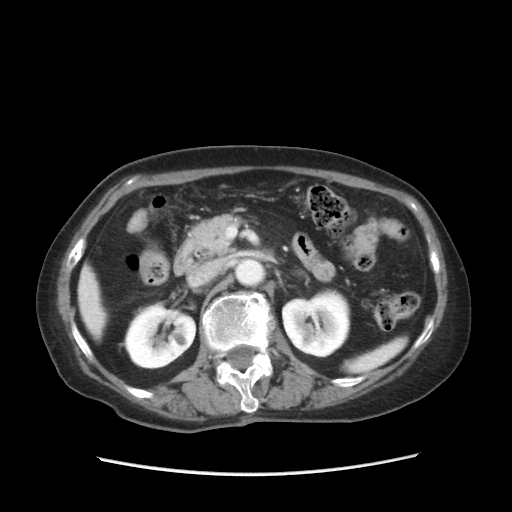
Case summary: Multiphase abdominal CT, liver, portal venous phase. Patient: female, age 84.